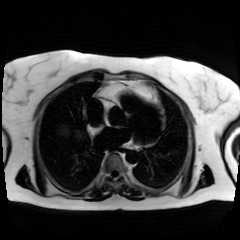
Chemical-shift-encoded cardiac MRI.